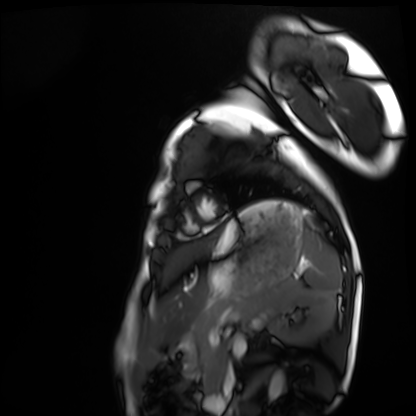
modality = cardiac MRI | subject group = healthy volunteer.